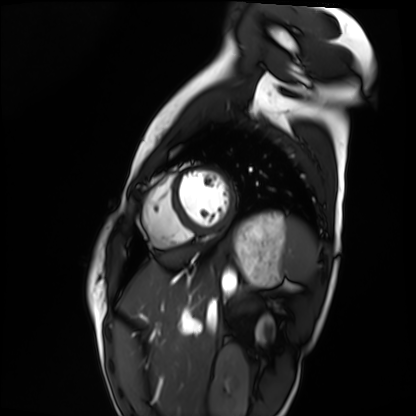
Cardiac MRI.
Subject group: healthy volunteer.